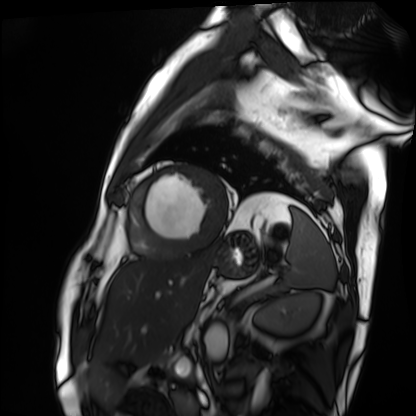
Q: What kind of scan is this?
A: Cardiac MRI.
Subject group: patient.